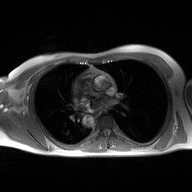
Q: What kind of scan is this?
A: 2D phase-contrast cine MRI of the ascending aorta.